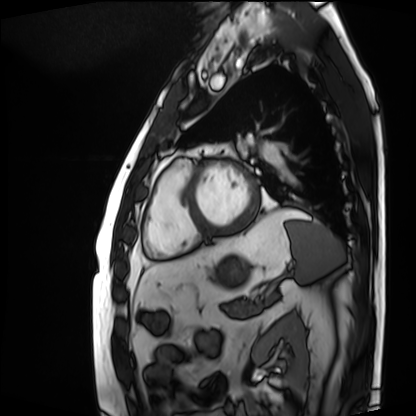
Q: What kind of scan is this?
A: Cardiac MRI.
Subject group: patient.